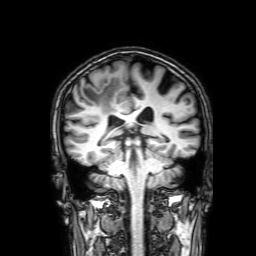
3 Tesla brain MRI. Series: 3D T1-weighted with SENSE. Study: ring-enhancing brain masses.